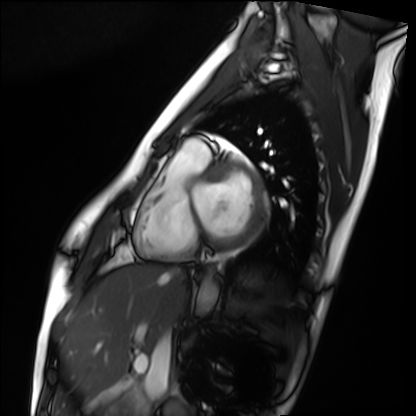
- modality — cardiac MRI
- subject group — healthy volunteer